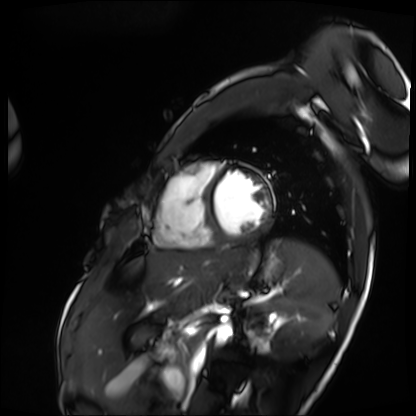
Cardiac MRI. Subject group: patient.